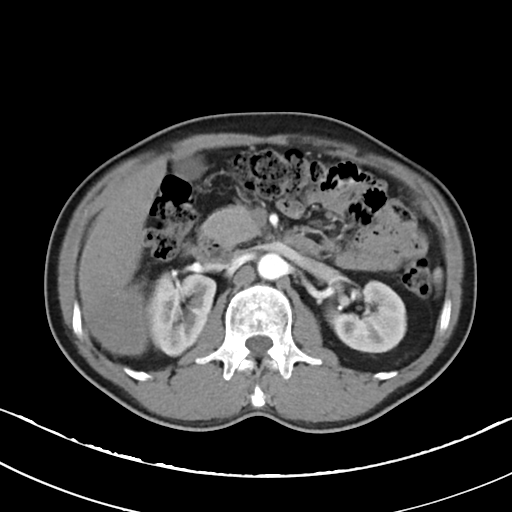
| field | value |
|---|---|
| modality | multiphase abdominal CT, liver, arterial phase |